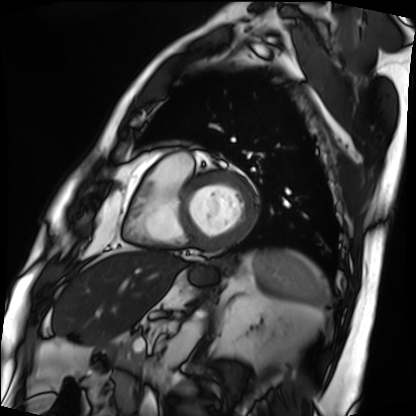
Cardiac MRI. Subject group: patient.